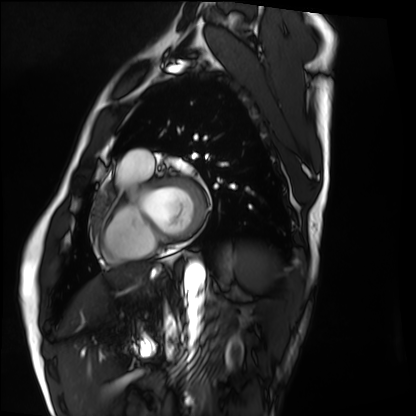
Cardiac MRI. Subject group: healthy volunteer.